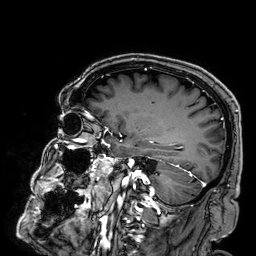
Case summary:
3 Tesla brain MRI. Series: 3D T1-weighted. Study: ring-enhancing brain masses.